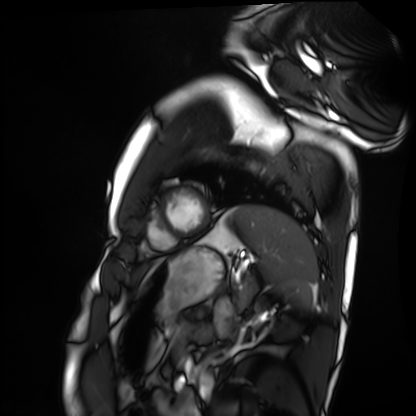
Cardiac MRI. Subject group: healthy volunteer.